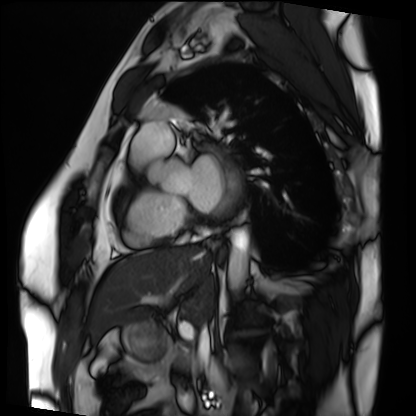
Q: What kind of scan is this?
A: Cardiac MRI.
Subject group: patient.